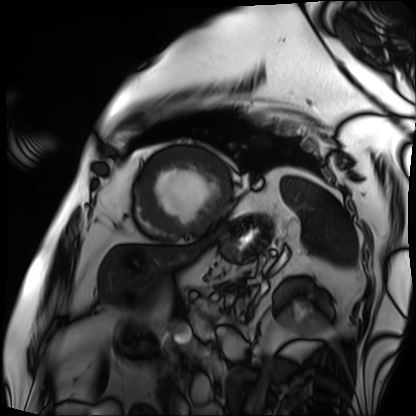
{"modality": "cardiac MRI", "cohort": "patient"}